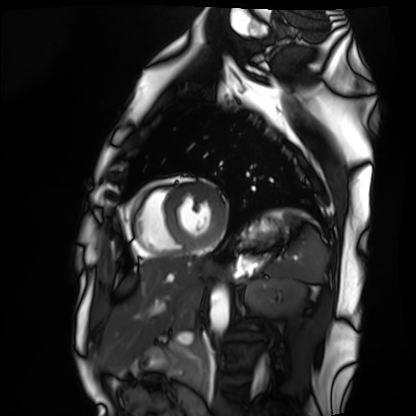
modality: cardiac MRI
subject group: healthy volunteer